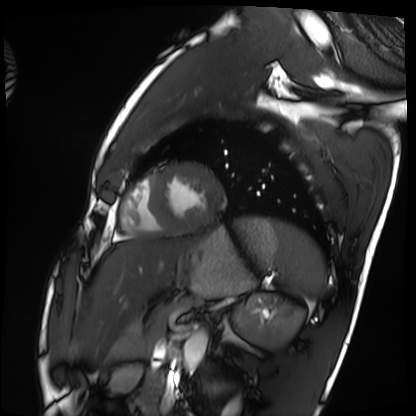
Cardiac MRI.
Subject group: healthy volunteer.